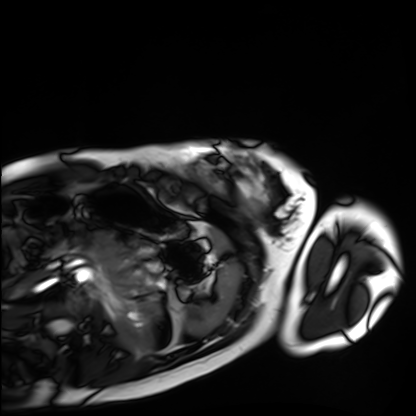
Cardiac MRI. Subject group: healthy volunteer.